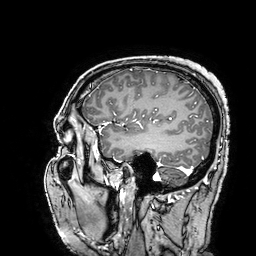
Summary:
3 Tesla brain MRI. Study: ring-enhancing brain masses.